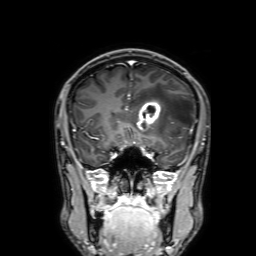
3 Tesla brain MRI.
Series: 3D T1-weighted with SENSE.
Study: ring-enhancing brain masses.